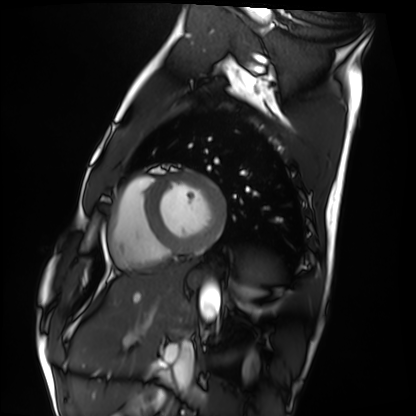
* modality: cardiac MRI
* subject group: healthy volunteer